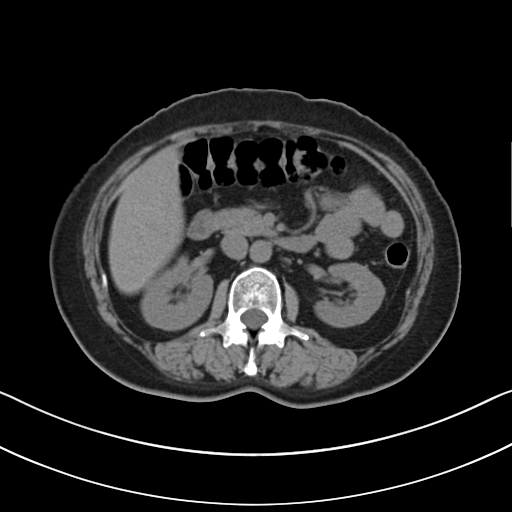
Multiphase abdominal CT, liver, non-contrast phase.
Patient: female, age 52.